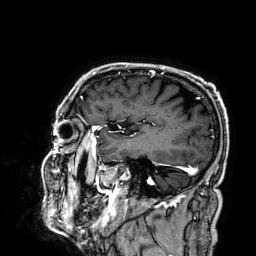
3 Tesla brain MRI. Series: 3D T1-weighted. Study: ring-enhancing brain masses.